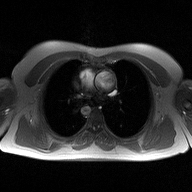
Case:
– modality: 2D phase-contrast cine MRI of the ascending aorta